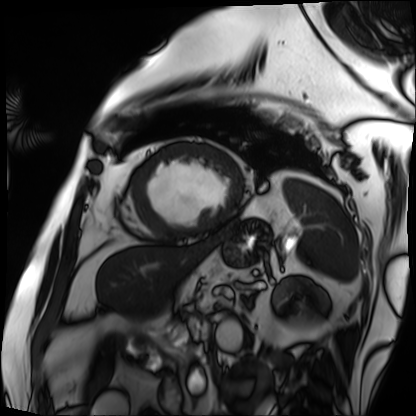
<study>
<modality>cardiac MRI</modality>
<cohort>patient</cohort>
</study>